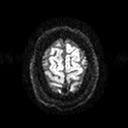
Case:
– modality — 3 Tesla brain MRI
– series — diffusion tensor imaging (medium iso)
– study — ring-enhancing brain masses